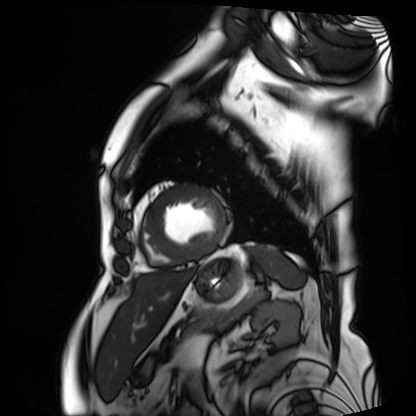
Cardiac MRI.
Subject group: patient.